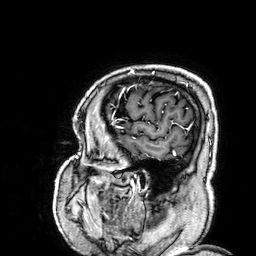
Summary:
3 Tesla brain MRI. Series: 3D T1-weighted. Study: ring-enhancing brain masses.